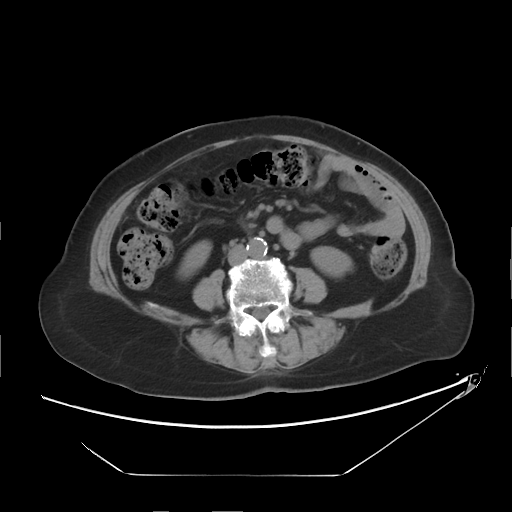
Q: What kind of scan is this?
A: Multiphase abdominal CT, liver, non-contrast phase.
Q: Patient?
A: Female, age 72.